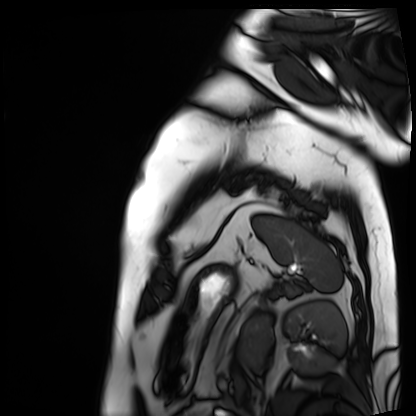
{
  "modality": "cardiac MRI",
  "cohort": "patient"
}